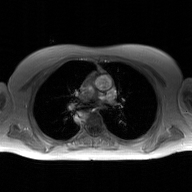
Case summary:
2D phase-contrast cine MRI of the ascending aorta, GAN super-resolution reconstruction.